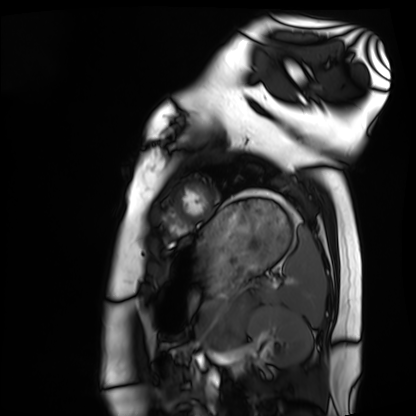
modality: cardiac MRI | subject group: healthy volunteer.